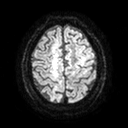
3 Tesla brain MRI. Series: diffusion tensor imaging (medium iso). Study: ring-enhancing brain masses.